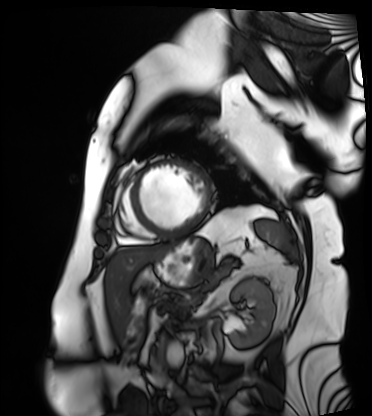
Cardiac MRI. Subject group: patient.